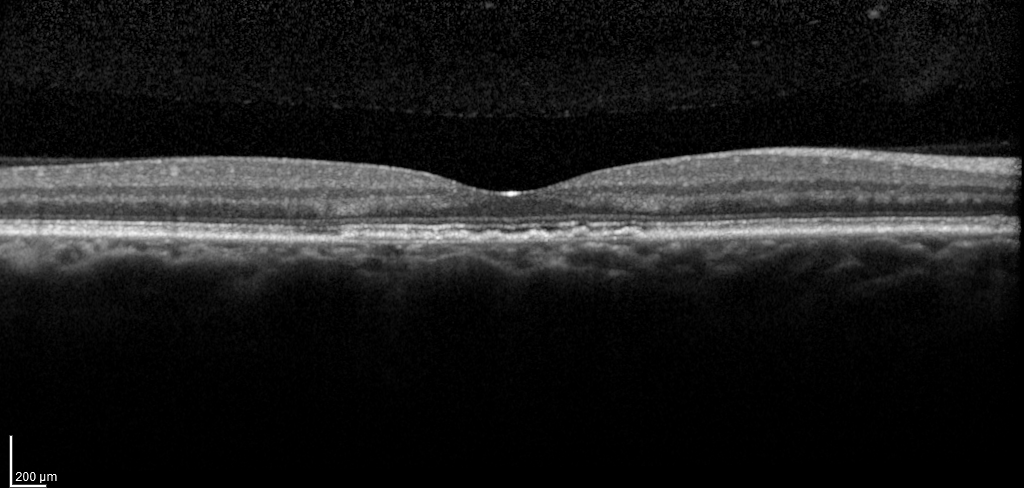
Spectral-domain optical coherence tomography (SD-OCT) of the macula. Subject: male, age 47, right eye. Cohort: diabetic subject. ETDRS-grid retinal thickness (μm): central 239, inner temporal 305, inner nasal 315, inner superior 316, inner inferior 304, outer temporal 281, outer nasal 303.